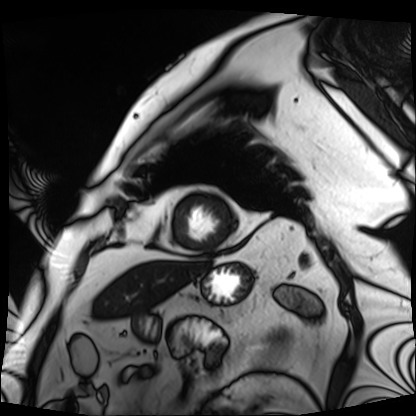
{
  "modality": "cardiac MRI",
  "cohort": "patient"
}